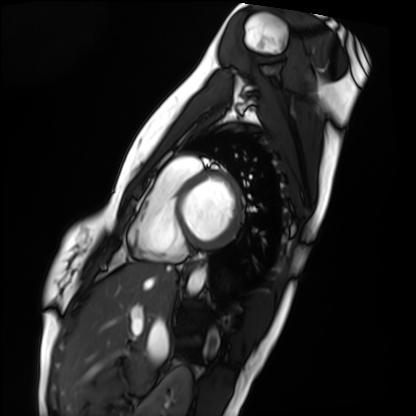
<scan>
  <modality>cardiac MRI</modality>
  <cohort>healthy volunteer</cohort>
</scan>